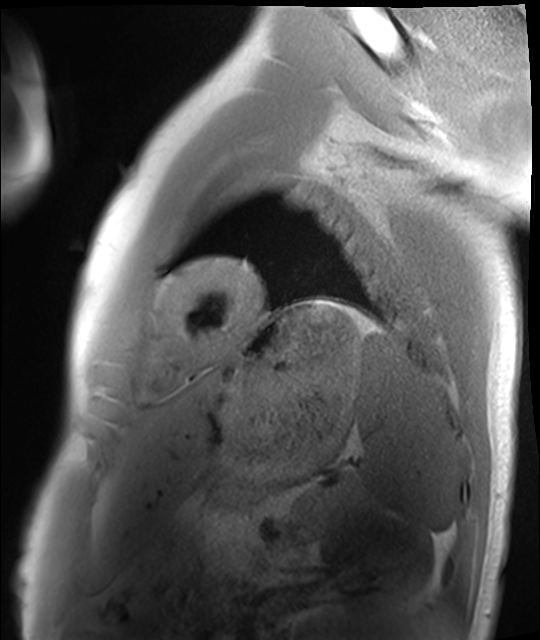
| field | value |
|---|---|
| modality | cardiac MRI |
| subject group | healthy volunteer |